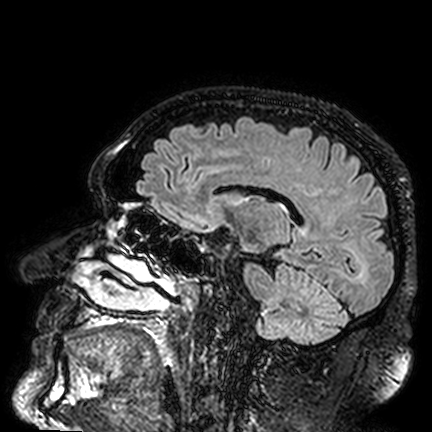
Summary:
3 Tesla brain MRI. Series: FLAIR VISTA. Study: ring-enhancing brain masses.